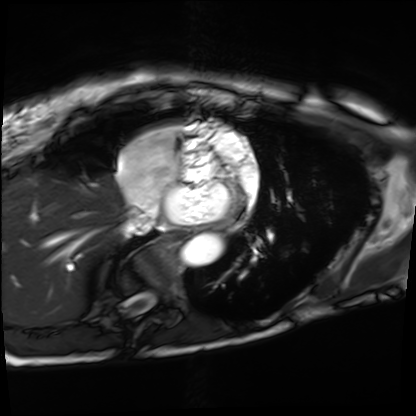
Summary:
Cardiac MRI. Subject group: patient.